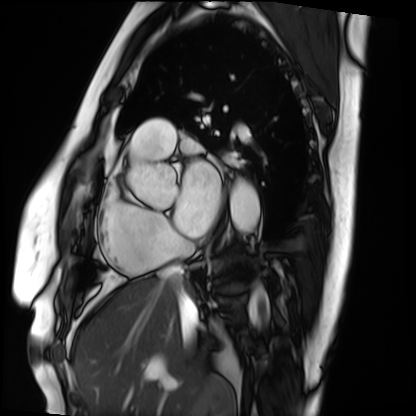
Cardiac MRI.
Subject group: patient.